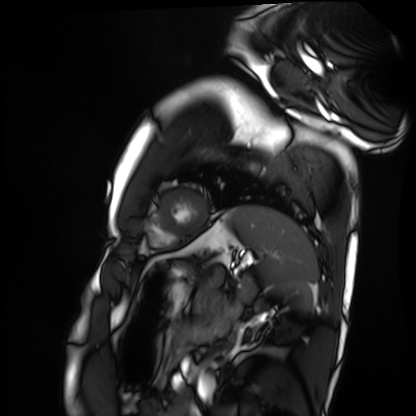
modality: cardiac MRI, subject group: healthy volunteer.